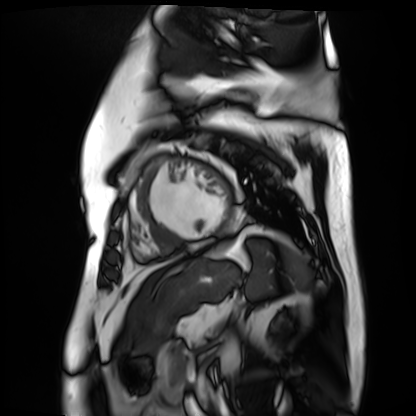
– modality — cardiac MR image of the myocardium
– subject cohort — cardiac patient